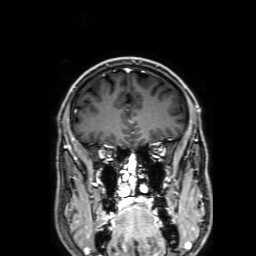
3 Tesla brain MRI. Series: 3D T1-weighted with SENSE. Study: ring-enhancing brain masses.